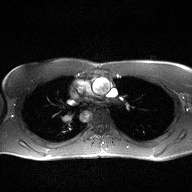
modality: 2D phase-contrast cine MRI of the ascending aorta.